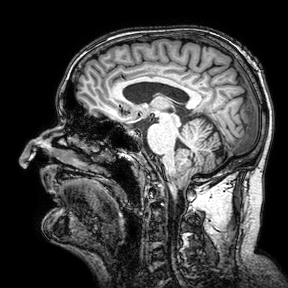
modality: 3 Tesla brain MRI | series: 3D T1-weighted turbo field echo with SENSE | study: ring-enhancing brain masses.